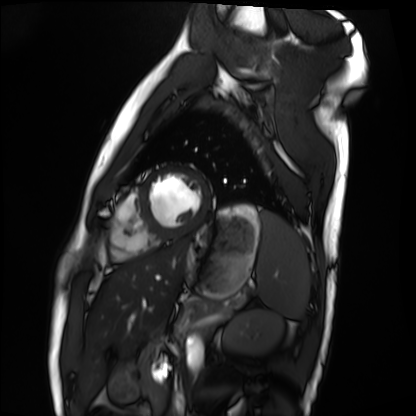
modality=cardiac MRI
subject group=healthy volunteer